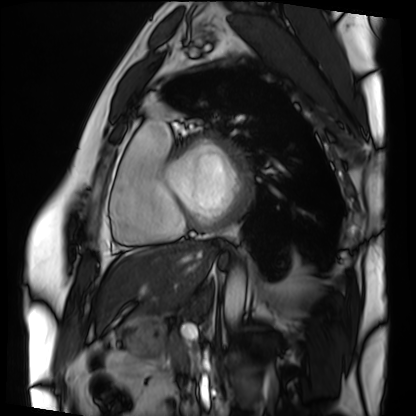
modality: cardiac MRI
cohort: patient